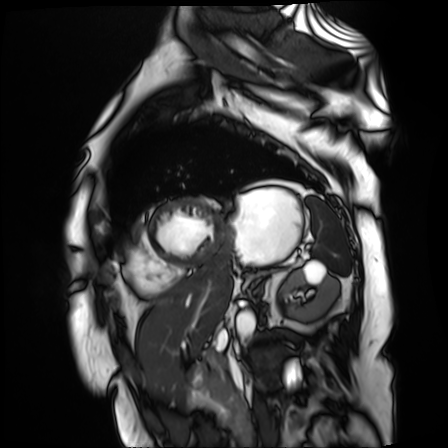
modality=cardiac MR image of the myocardium | subject cohort=cardiac patient.